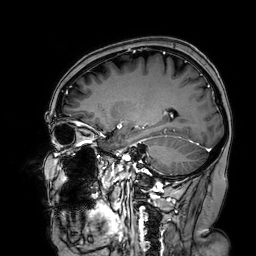
| field | value |
|---|---|
| modality | 3 Tesla brain MRI |
| series | 3D T1-weighted turbo field echo with SENSE |
| study | ring-enhancing brain masses |